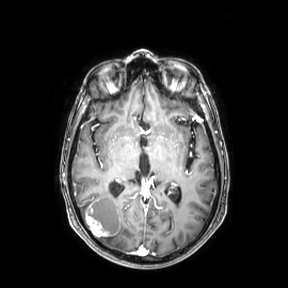
{
  "modality": {
    "type": "brain MRI",
    "field_strength": "3T"
  },
  "series": "axial",
  "study_topic": "ring-enhancing brain masses"
}